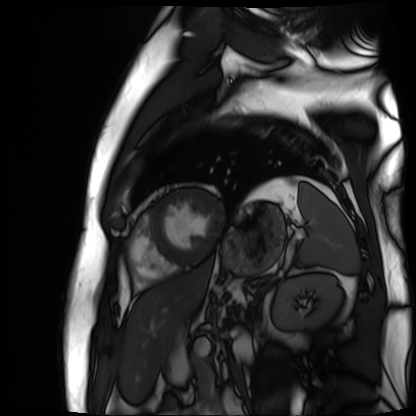
| field | value |
|---|---|
| modality | cardiac MR image of the myocardium |
| subject cohort | cardiac patient |